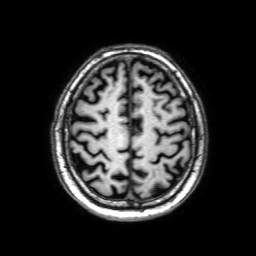
3 Tesla brain MRI. Series: 3D T1-weighted with SENSE. Study: ring-enhancing brain masses.